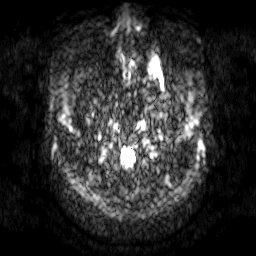
3 Tesla brain MRI. Series: diffusion-weighted imaging. Study: ring-enhancing brain masses.